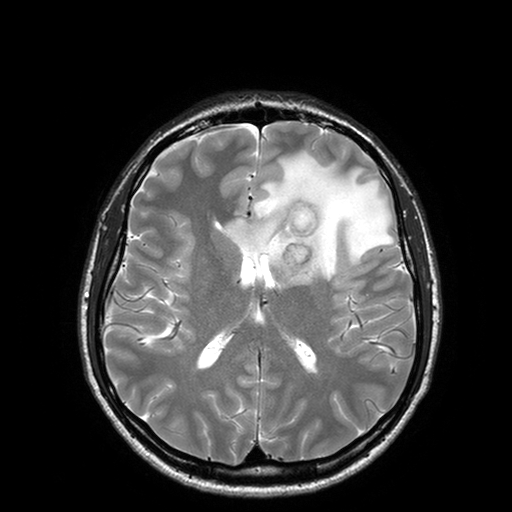
  modality:
    type: brain MRI
    field_strength: 3T
  series: T2-weighted turbo spin echo with SENSE
  study_topic: ring-enhancing brain masses